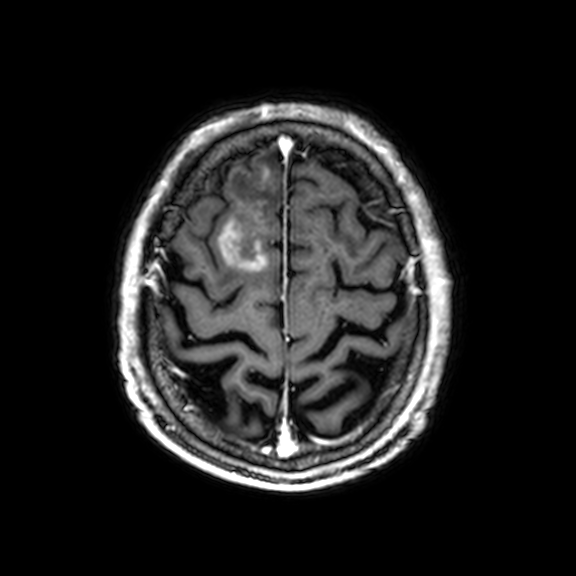
3 Tesla brain MRI. Series: 3D T1-weighted with CLEAR. Study: ring-enhancing brain masses.